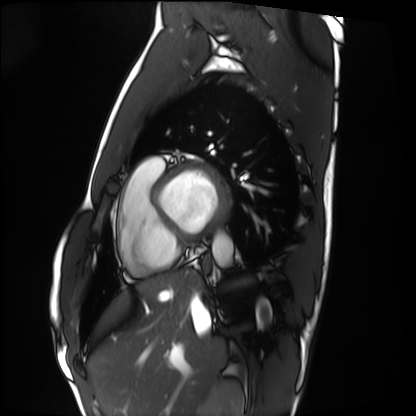
<scan>
  <modality>cardiac MRI</modality>
  <cohort>healthy volunteer</cohort>
</scan>